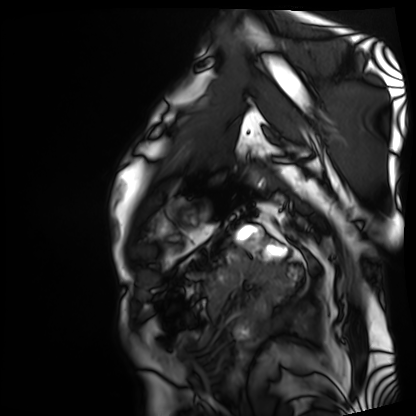
Case summary:
Cardiac MRI. Subject group: patient.